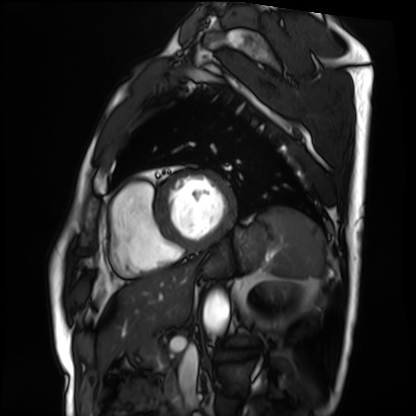
modality: cardiac MRI; subject group: patient.